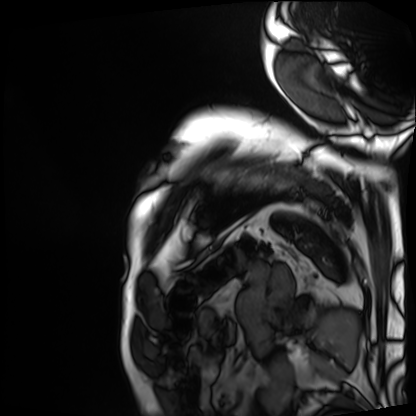
Case summary: Cardiac MRI. Subject group: patient.